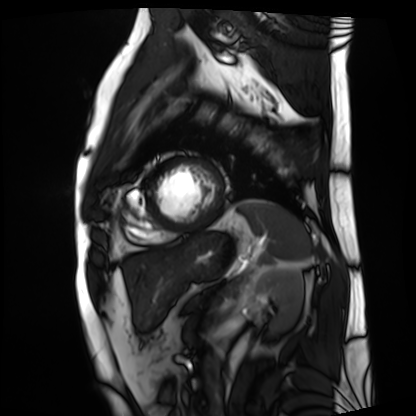
Cardiac MRI.
Subject group: patient.